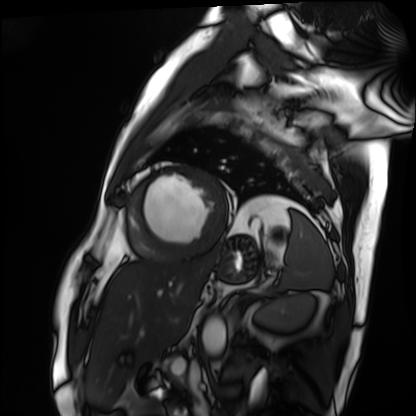
modality: cardiac MRI; subject group: patient.